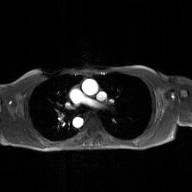
{
  "modality": {
    "type": "2D phase-contrast cine MRI",
    "region": "ascending aorta",
    "reconstruction": "GAN super-resolution reconstruction"
  }
}